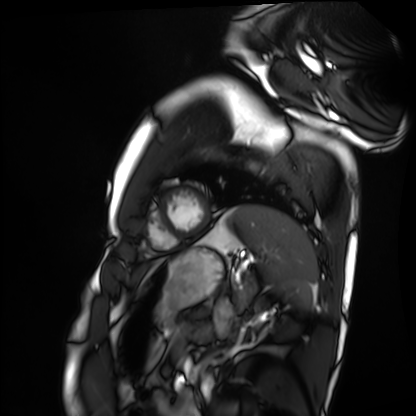
modality: cardiac MRI, subject group: healthy volunteer.